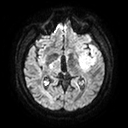
– modality — 3 Tesla brain MRI
– series — diffusion tensor imaging (medium iso)
– study — ring-enhancing brain masses